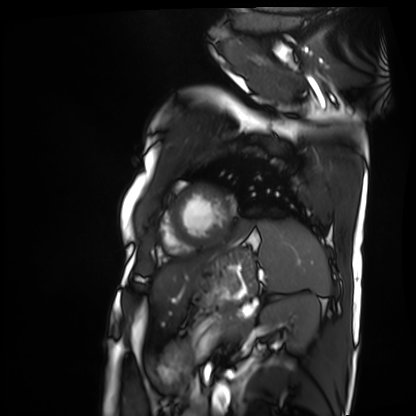
| field | value |
|---|---|
| modality | cardiac MRI |
| subject group | patient |